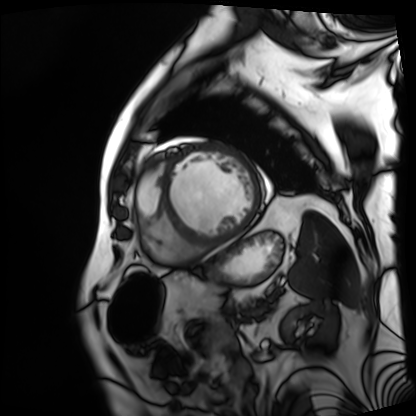
| field | value |
|---|---|
| modality | cardiac MRI |
| subject group | patient |